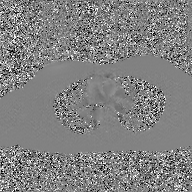
| field | value |
|---|---|
| modality | 2D phase-contrast cine MRI of the ascending aorta, GAN super-resolution reconstruction |